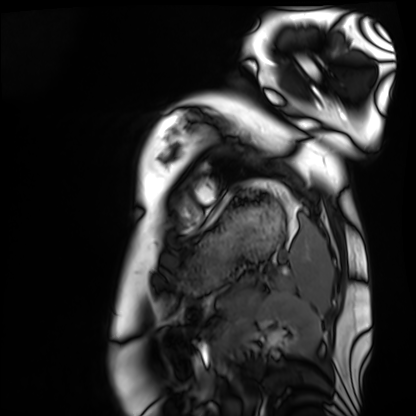
Cardiac MRI. Subject group: healthy volunteer.